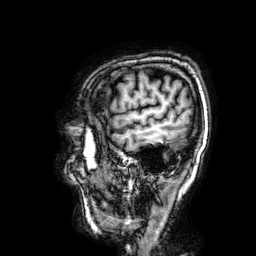
3 Tesla brain MRI. Series: 3D T1-weighted. Study: ring-enhancing brain masses.